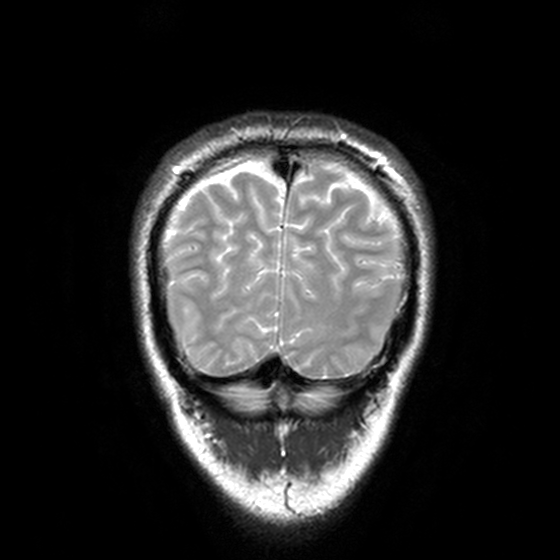
{
  "modality": {
    "type": "brain MRI",
    "field_strength": "3T"
  },
  "study_topic": "ring-enhancing brain masses"
}